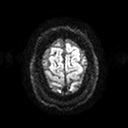
3 Tesla brain MRI. Series: diffusion tensor imaging (medium iso). Study: ring-enhancing brain masses.